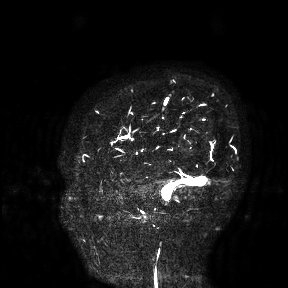
modality:
  type: brain MRI
  field_strength: 3T
study_topic: ring-enhancing brain masses